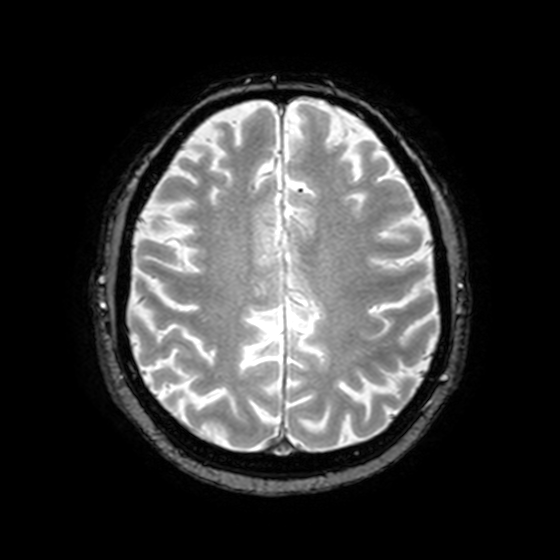
3 Tesla brain MRI. Series: T2-weighted fast field echo with SENSE. Study: ring-enhancing brain masses.